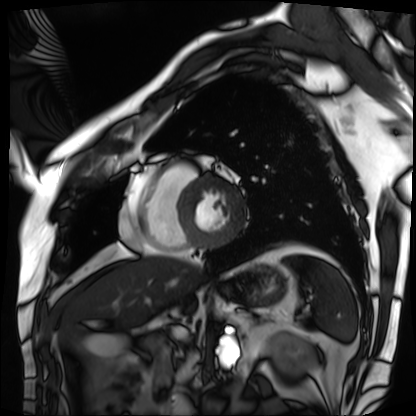
Cardiac MRI. Subject group: patient.